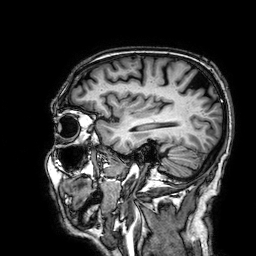
3 Tesla brain MRI. Series: 3D T1-weighted. Study: ring-enhancing brain masses.